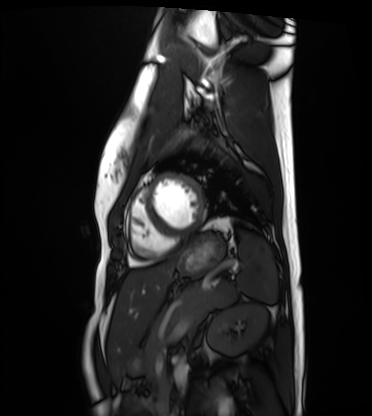
| field | value |
|---|---|
| modality | cardiac MRI |
| subject group | healthy volunteer |